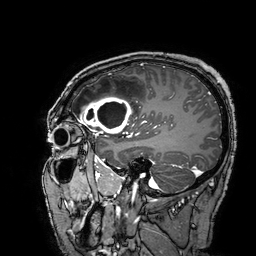
* modality · 3 Tesla brain MRI
* series · 3D T1-weighted turbo field echo with SENSE
* study · ring-enhancing brain masses